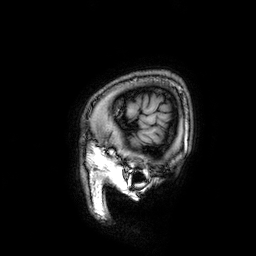
modality: 3 Tesla brain MRI
series: 3D T1-weighted
study: ring-enhancing brain masses